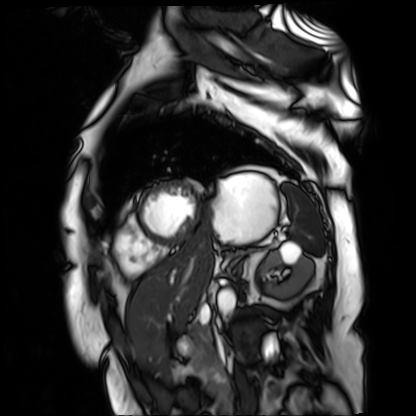
Cardiac MR image of the myocardium. Subject cohort: cardiac patient.